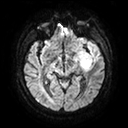
modality: 3 Tesla brain MRI; series: diffusion tensor imaging (medium iso); study: ring-enhancing brain masses.